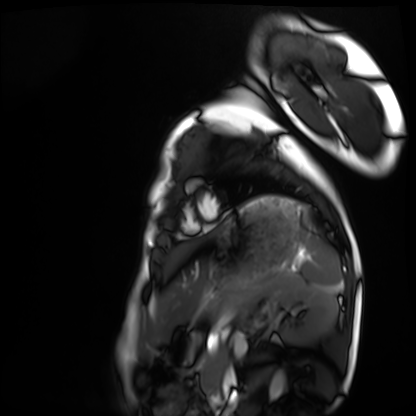
Cardiac MRI.
Subject group: healthy volunteer.